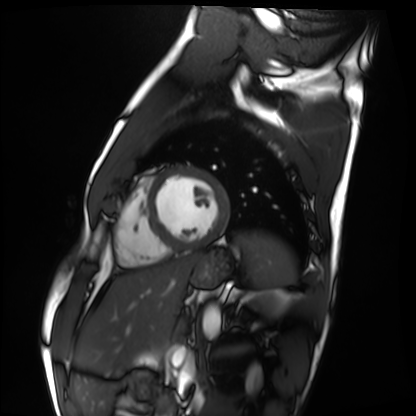
| field | value |
|---|---|
| modality | cardiac MRI |
| subject group | healthy volunteer |